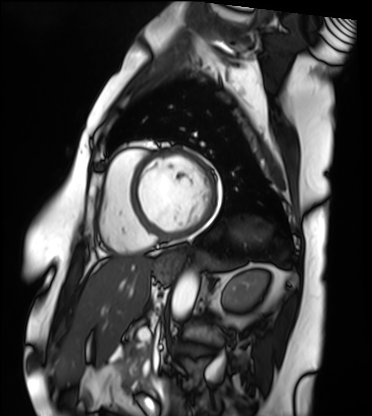
Q: What kind of scan is this?
A: Cardiac MRI.
Subject group: patient.